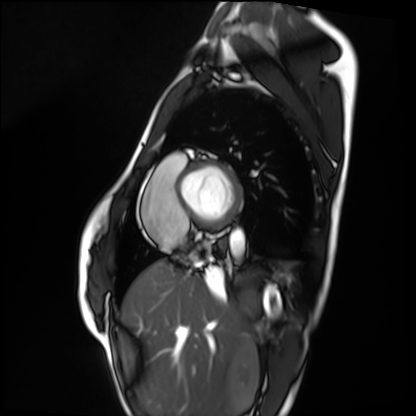
modality: cardiac MRI
subject group: healthy volunteer